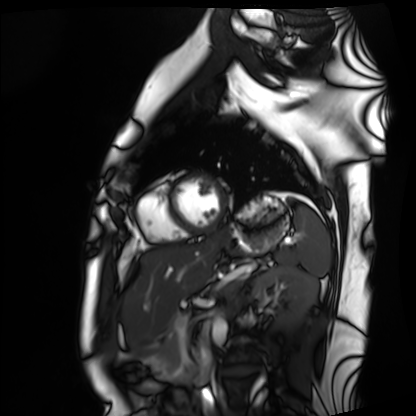
Cardiac MRI. Subject group: healthy volunteer.